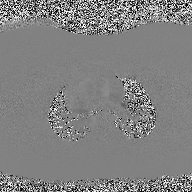
modality — 2D phase-contrast cine MRI of the ascending aorta.